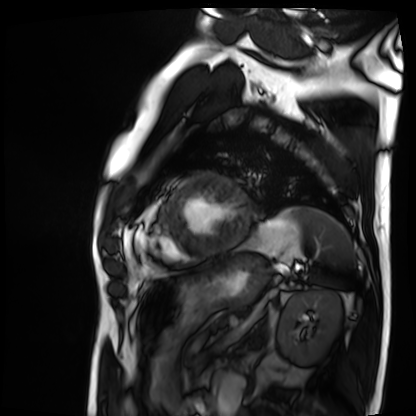
Cardiac MRI. Subject group: patient.